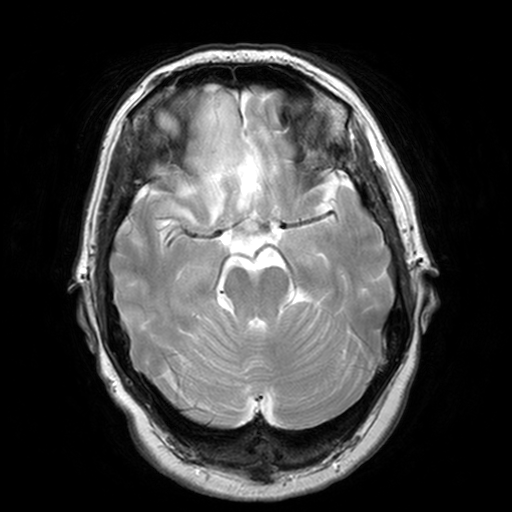
{
  "modality": {
    "type": "brain MRI",
    "field_strength": "3T"
  },
  "series": "T2-weighted turbo spin echo, 3 mm",
  "study_topic": "ring-enhancing brain masses"
}